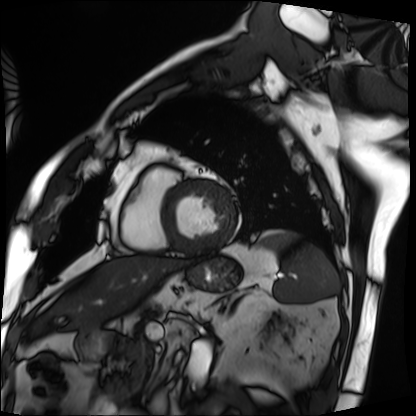
modality: cardiac MRI
subject group: patient